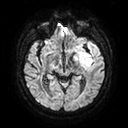
3 Tesla brain MRI. Series: diffusion tensor imaging (medium iso). Study: ring-enhancing brain masses.